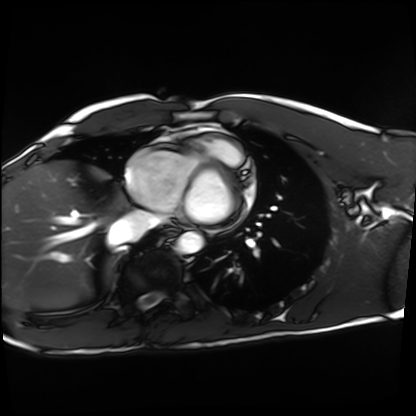
Summary:
Cardiac MRI. Subject group: healthy volunteer.